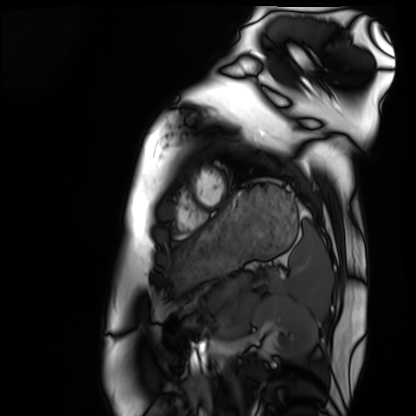
| field | value |
|---|---|
| modality | cardiac MRI |
| subject group | healthy volunteer |